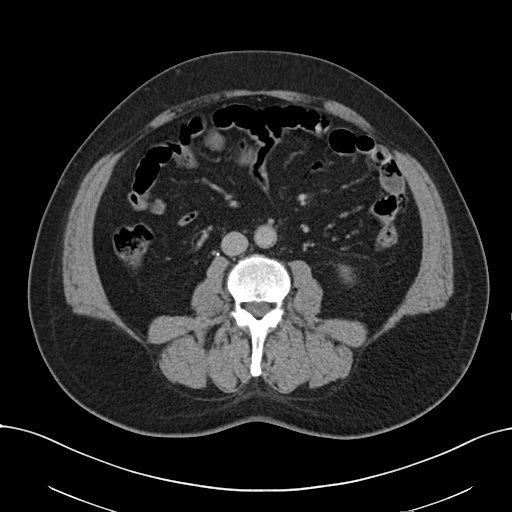
modality: multiphase abdominal CT, liver, delayed phase | patient: male, age 54 | history: viral hepatitis.